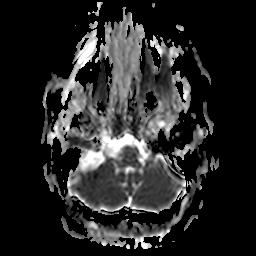
- modality: 3 Tesla brain MRI
- series: apparent diffusion coefficient (ADC) map
- study: ring-enhancing brain masses